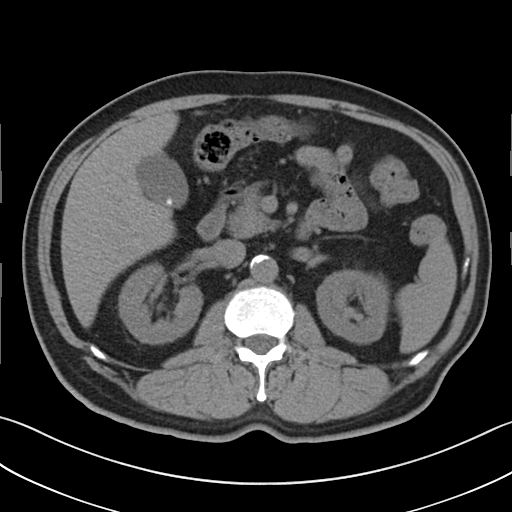
Multiphase abdominal CT, liver, non-contrast phase.
Patient: male, age 73.